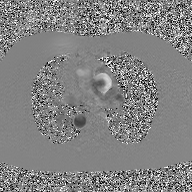
<study>
  <modality>
    <type>2D phase-contrast cine MRI</type>
    <region>ascending aorta</region>
    <reconstruction>GAN super-resolution reconstruction</reconstruction>
  </modality>
</study>